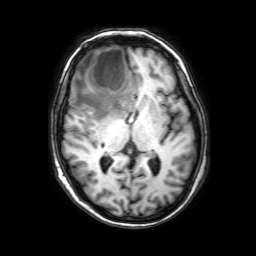
{
  "modality": {
    "type": "brain MRI",
    "field_strength": "3T"
  },
  "series": "3D T1-weighted with SENSE",
  "study_topic": "ring-enhancing brain masses"
}